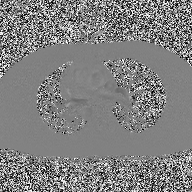
Q: What kind of scan is this?
A: 2D phase-contrast cine MRI of the ascending aorta.